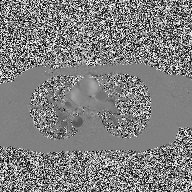
Case summary:
2D phase-contrast cine MRI of the ascending aorta, high-resolution GRAPPA acquisition.